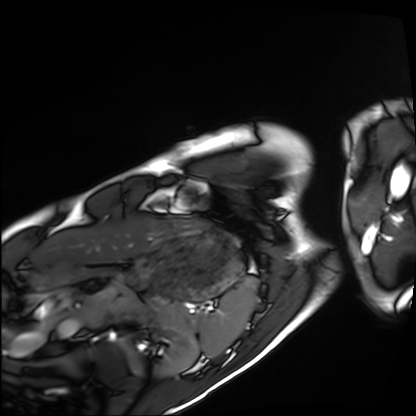
Cardiac MRI. Subject group: healthy volunteer.